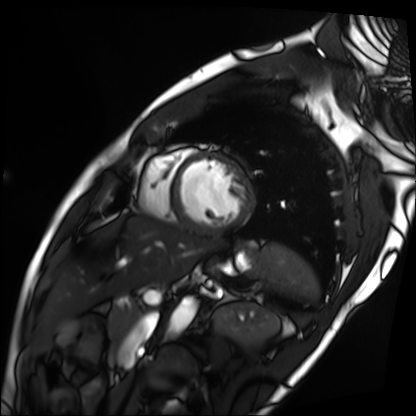
Case:
– modality — cardiac MRI
– subject group — patient